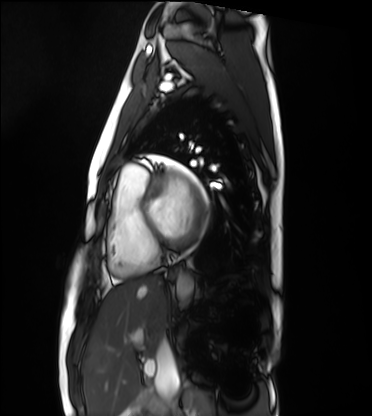
Cardiac MRI. Subject group: healthy volunteer.